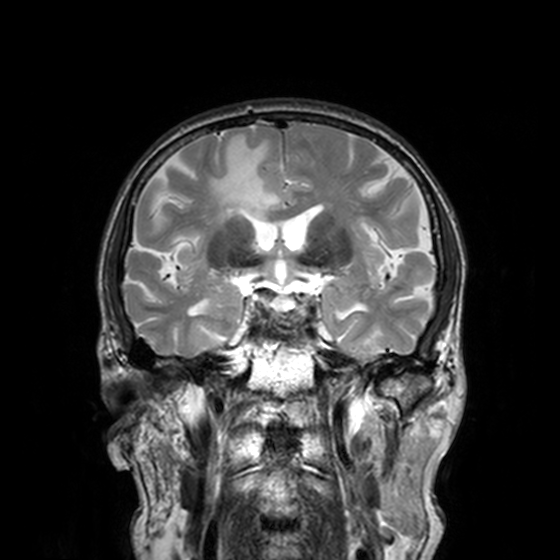
3 Tesla brain MRI. Series: T2-weighted turbo spin echo, 3 mm. Study: ring-enhancing brain masses.